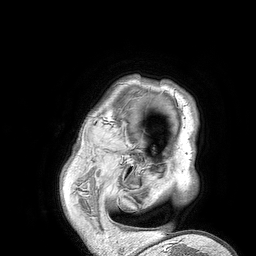
{
  "modality": {
    "type": "brain MRI",
    "field_strength": "3T"
  },
  "series": "3D T1-weighted turbo field echo",
  "study_topic": "ring-enhancing brain masses"
}